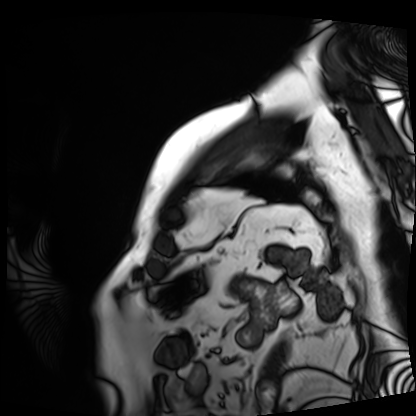
Cardiac MRI. Subject group: patient.